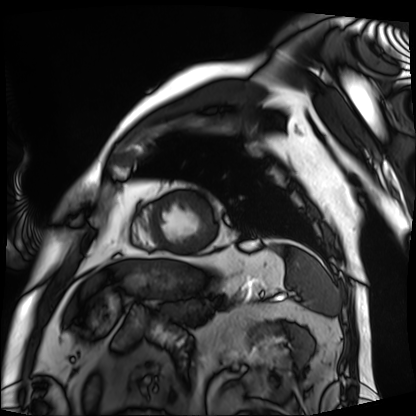
Summary:
Cardiac MRI. Subject group: patient.